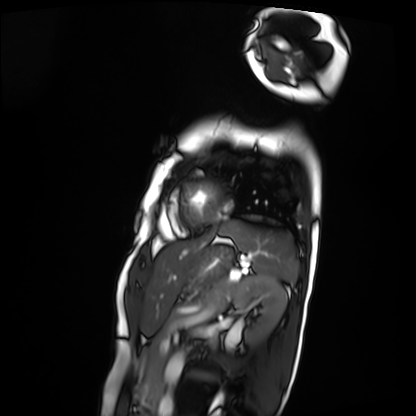
Cardiac MRI. Subject group: patient.